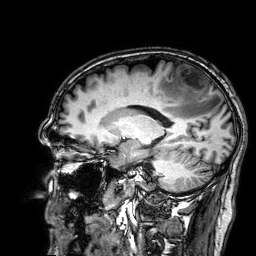
* modality · 3 Tesla brain MRI
* series · 3D T1-weighted
* study · ring-enhancing brain masses